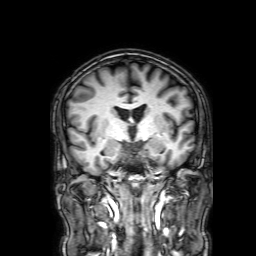
3 Tesla brain MRI.
Series: 3D T1-weighted with SENSE.
Study: ring-enhancing brain masses.